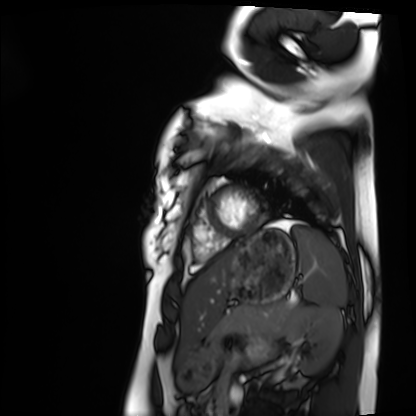
Cardiac MRI. Subject group: healthy volunteer.